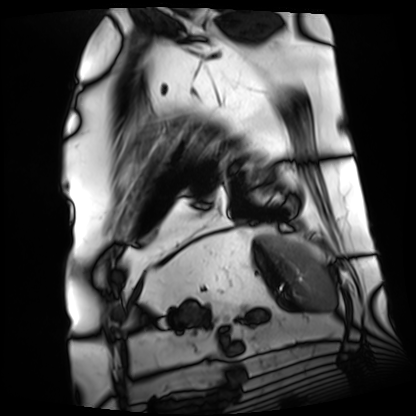
{"modality": "cardiac MRI", "cohort": "patient"}